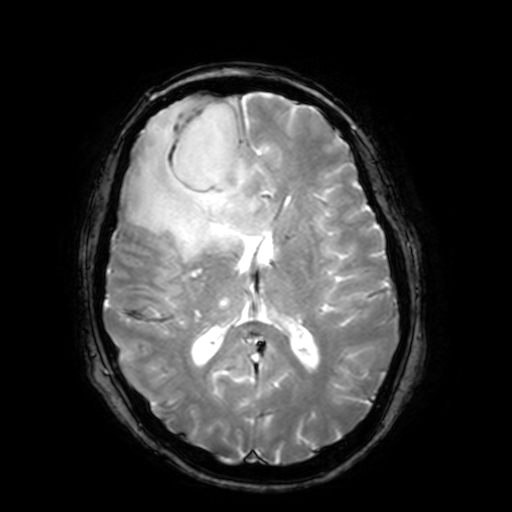
Summary: 3 Tesla brain MRI. Series: T2-weighted fast field echo with SENSE. Study: ring-enhancing brain masses.